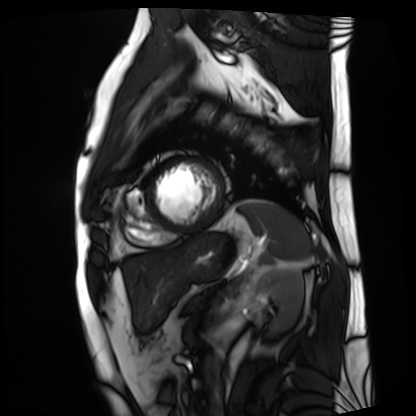
{"modality": "cardiac MRI", "cohort": "patient"}